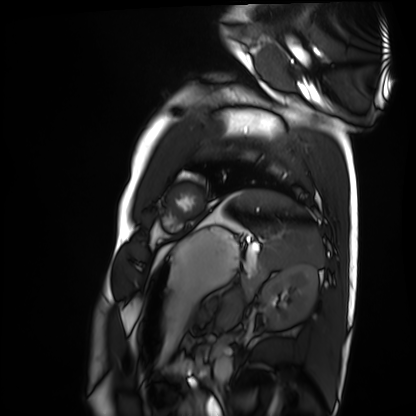
modality — cardiac MRI | subject group — healthy volunteer.